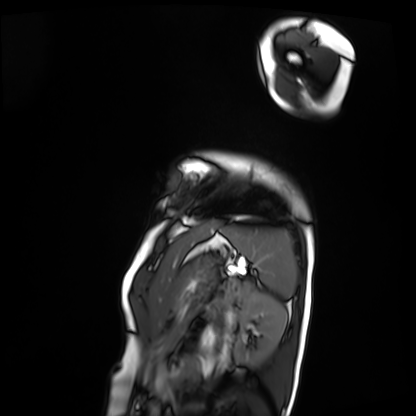
Q: What kind of scan is this?
A: Cardiac MRI.
Subject group: patient.